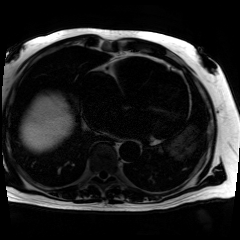
Chemical-shift-encoded cardiac MRI.